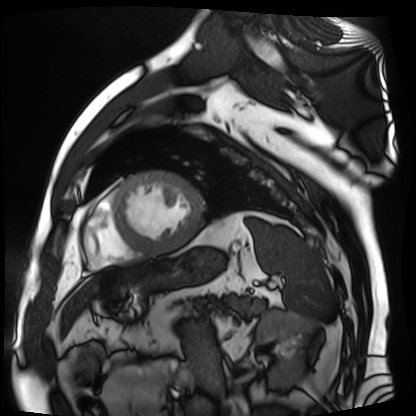
{"modality": "cardiac MR image of the myocardium", "cohort": "cardiac patient"}